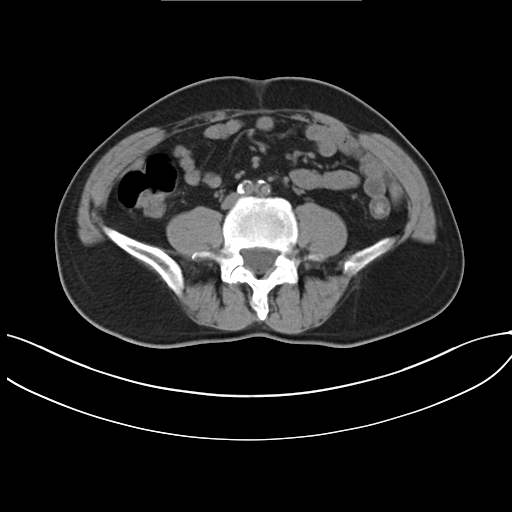
Case:
– modality · multiphase abdominal CT, liver, non-contrast phase
– patient · male, age 55
– history · viral hepatitis